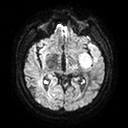
<case>
<modality>
  <type>brain MRI</type>
  <field_strength>3T</field_strength>
</modality>
<series>diffusion tensor imaging (medium iso)</series>
<study_topic>ring-enhancing brain masses</study_topic>
</case>